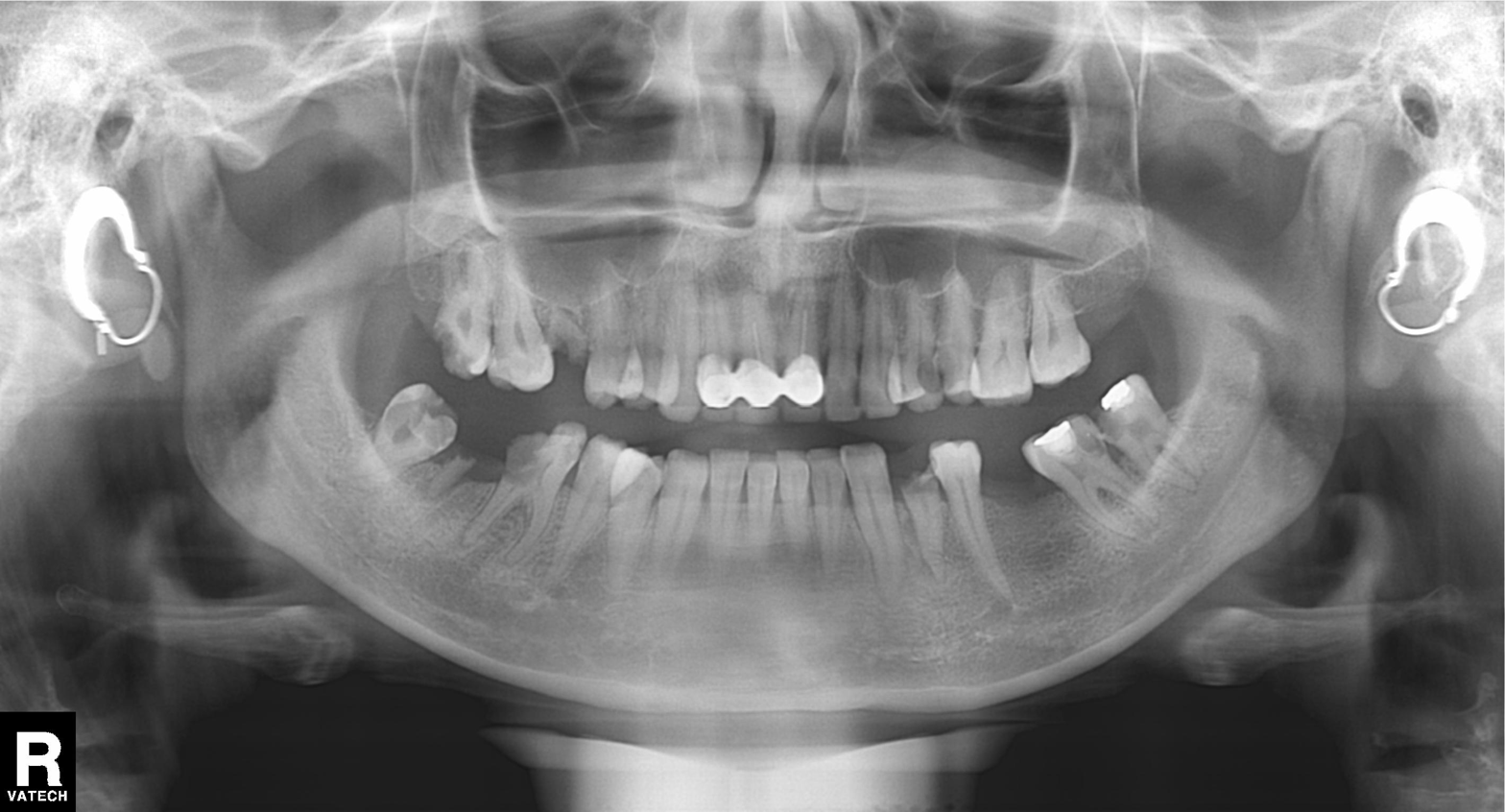
* modality — panoramic dental radiograph (orthopantomogram)
* finding — tooth impaction